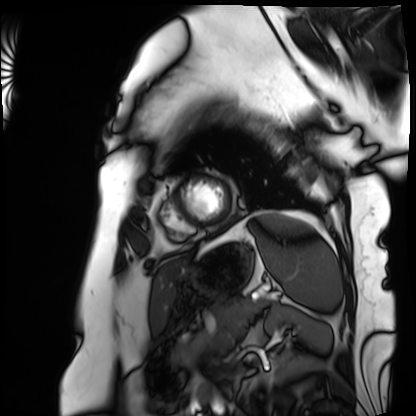
modality: cardiac MRI, subject group: patient.